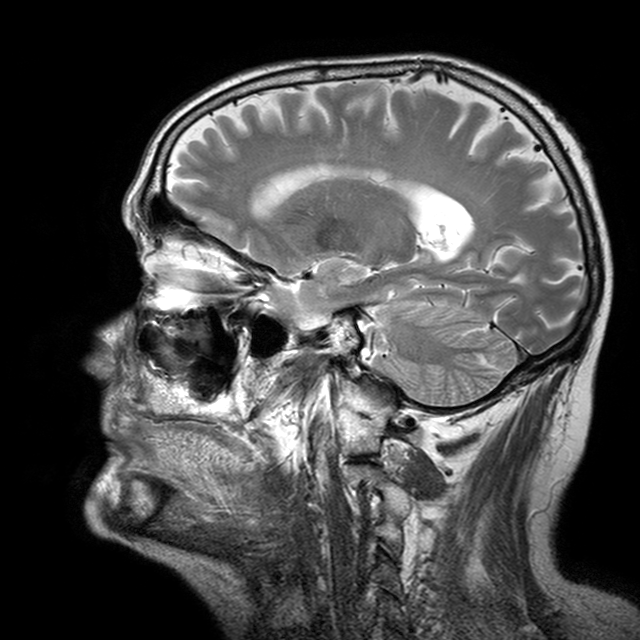
3 Tesla brain MRI. Series: T2-weighted turbo spin echo with CLEAR. Study: ring-enhancing brain masses.